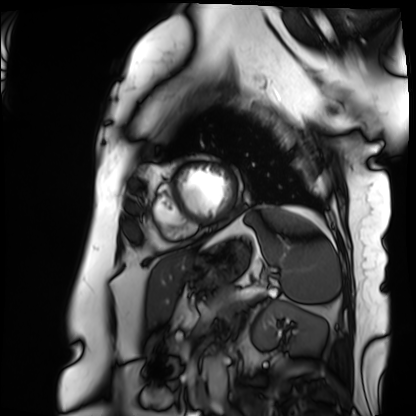
Q: What kind of scan is this?
A: Cardiac MRI.
Subject group: patient.